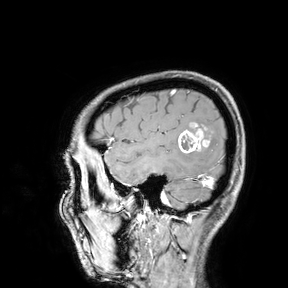
Case summary:
3 Tesla brain MRI. Study: ring-enhancing brain masses.